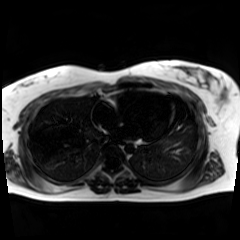
Q: What kind of scan is this?
A: Chemical-shift-encoded cardiac MRI.